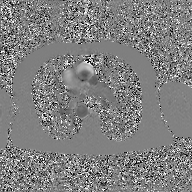
modality: 2D phase-contrast cine MRI of the ascending aorta, GAN super-resolution reconstruction.